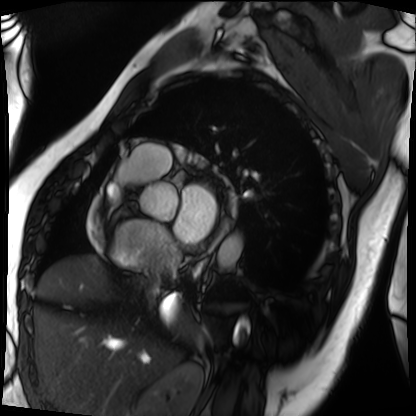
Summary: Cardiac MRI. Subject group: patient.